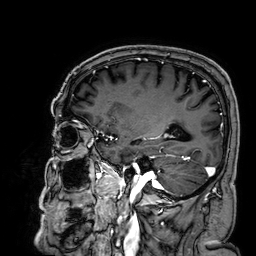
3 Tesla brain MRI.
Series: 3D T1-weighted.
Study: ring-enhancing brain masses.